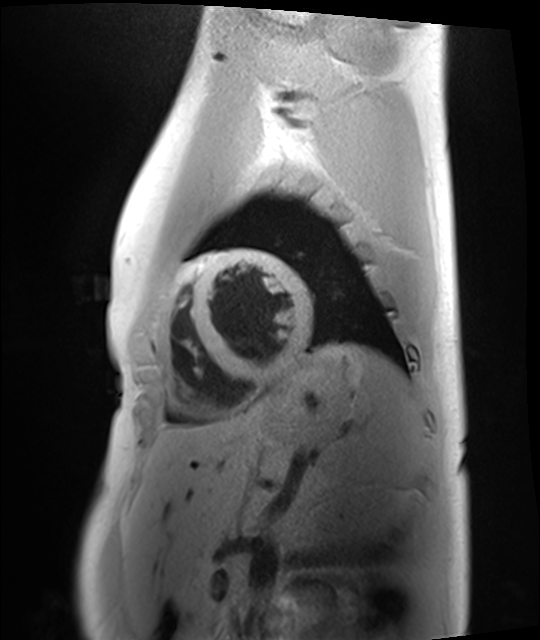
{
  "modality": "cardiac MRI",
  "cohort": "healthy volunteer"
}